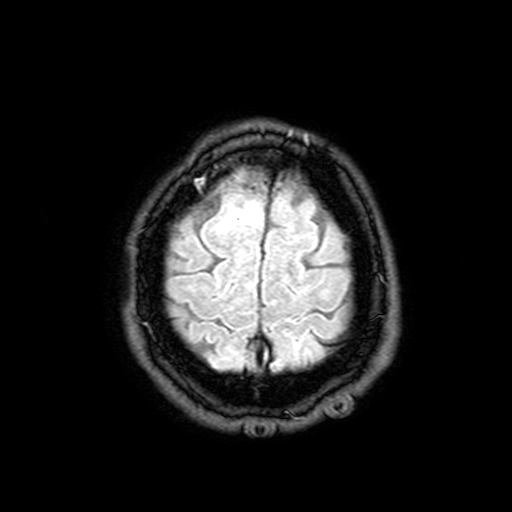
Case summary: 3 Tesla brain MRI. Series: FLAIR with SPAIR, 3 mm. Study: ring-enhancing brain masses.